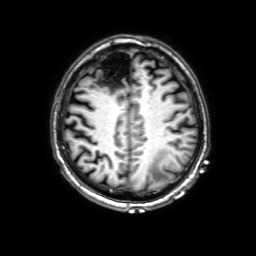
modality = 3 Tesla brain MRI
series = 3D T1-weighted with SENSE
study = ring-enhancing brain masses